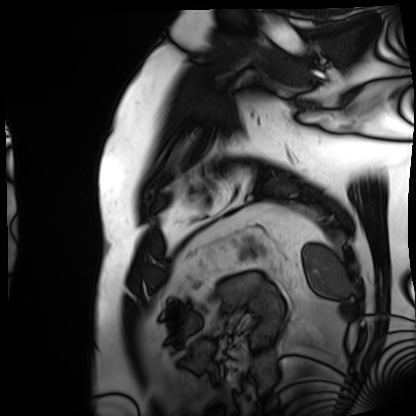
Case summary:
Cardiac MRI. Subject group: patient.